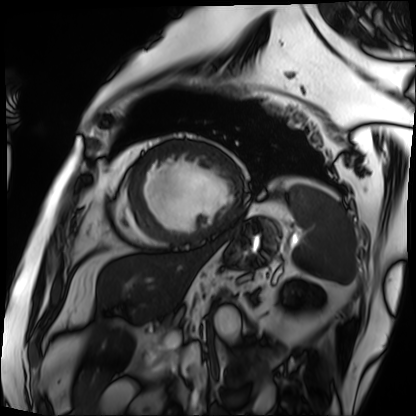
Q: What kind of scan is this?
A: Cardiac MRI.
Subject group: patient.